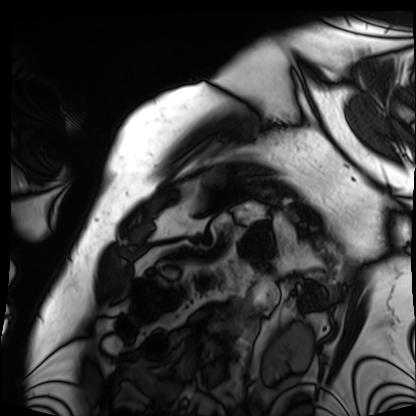
Cardiac MRI.
Subject group: patient.